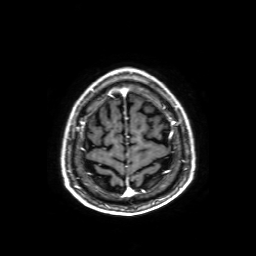
3 Tesla brain MRI. Series: axial T1-weighted fusion image. Study: ring-enhancing brain masses.